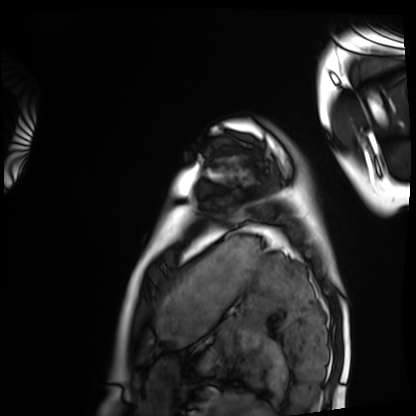
Cardiac MRI.
Subject group: healthy volunteer.